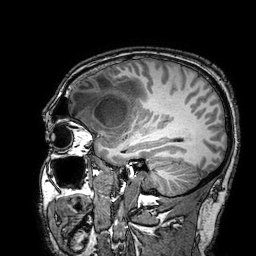
{
  "modality": {
    "type": "brain MRI",
    "field_strength": "3T"
  },
  "series": "3D T1-weighted turbo field echo with SENSE",
  "study_topic": "ring-enhancing brain masses"
}